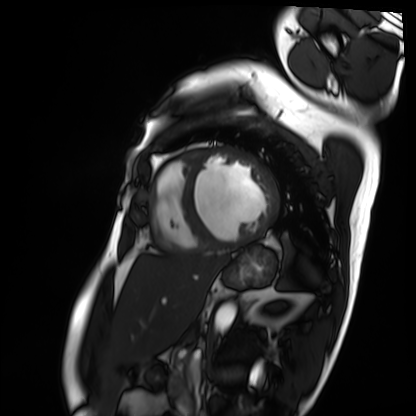
Cardiac MRI. Subject group: patient.